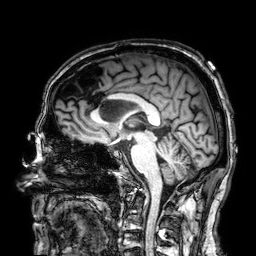
modality:
  type: brain MRI
  field_strength: 3T
series: 3D T1-weighted
study_topic: ring-enhancing brain masses